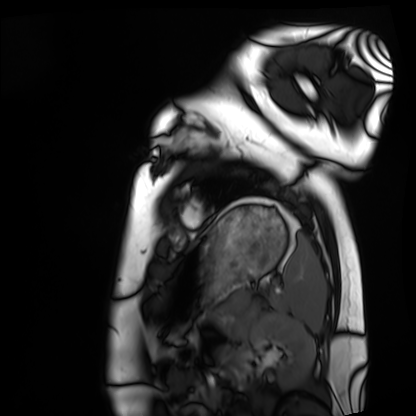
Cardiac MRI. Subject group: healthy volunteer.